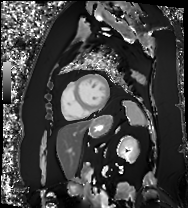
Cardiac MRI.
Subject group: patient.